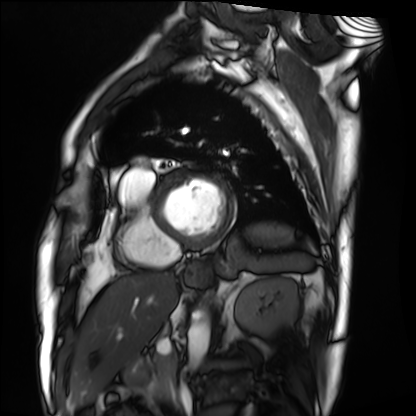
Cardiac MRI.
Subject group: patient.